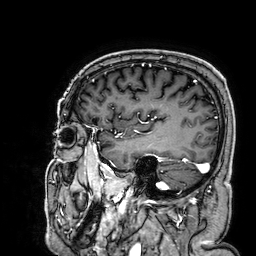
Case:
* modality: 3 Tesla brain MRI
* series: 3D T1-weighted
* study: ring-enhancing brain masses